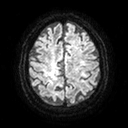
<study>
  <modality>
    <type>brain MRI</type>
    <field_strength>3T</field_strength>
  </modality>
  <series>diffusion tensor imaging (medium iso)</series>
  <study_topic>ring-enhancing brain masses</study_topic>
</study>